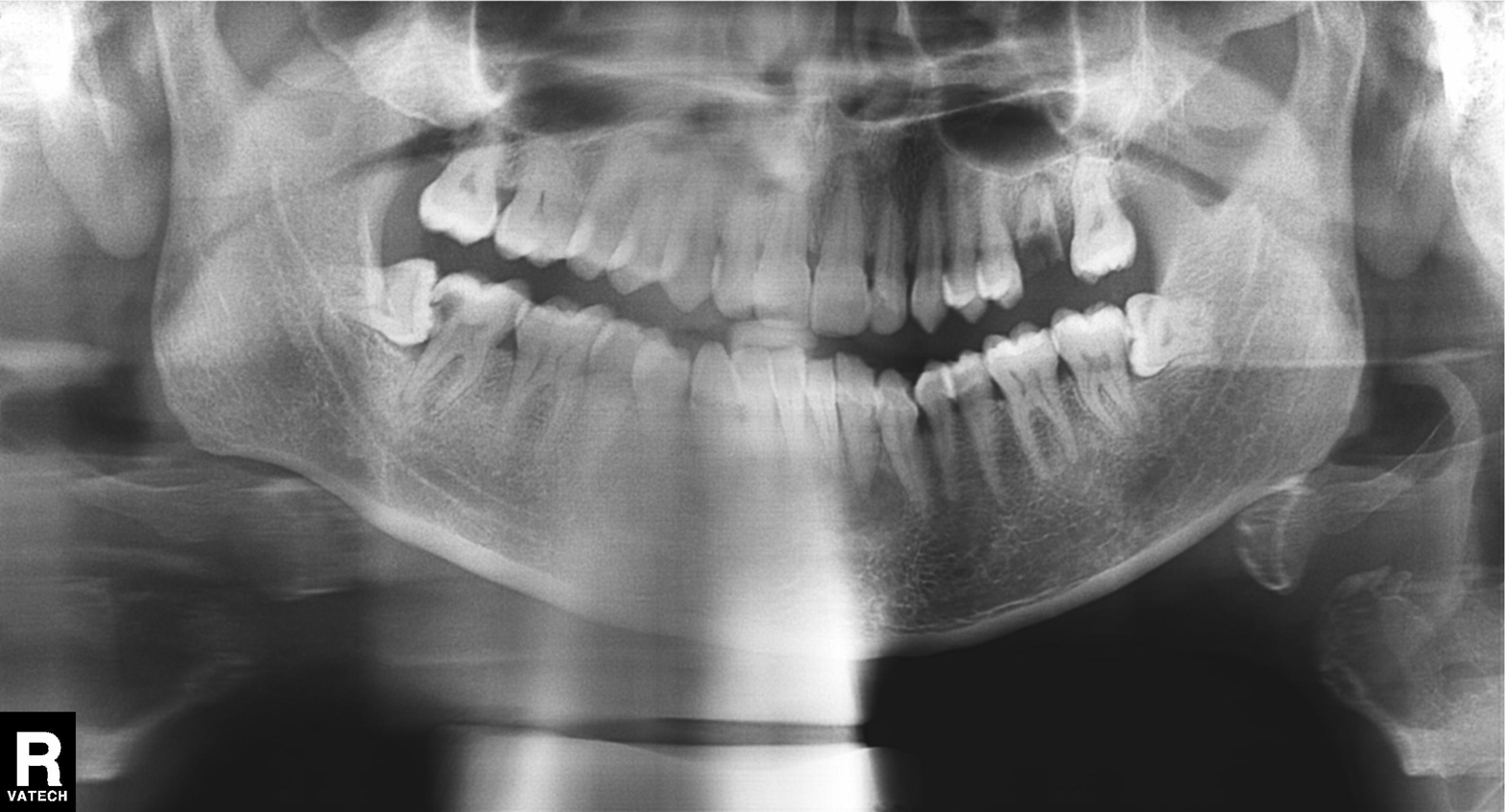
modality: panoramic dental radiograph (orthopantomogram); finding: alveolar bone loss.